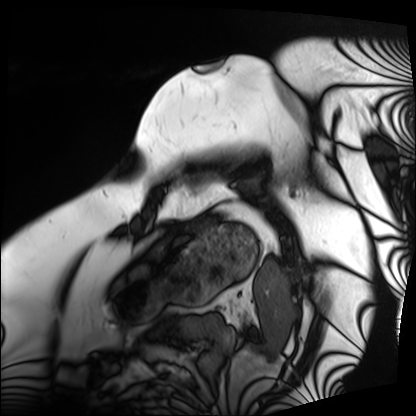
Clinical context: Cardiac MRI. Subject group: patient.